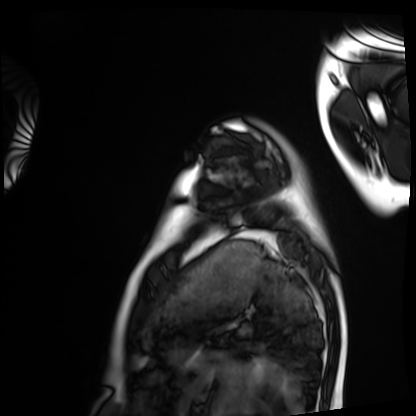
Case summary: Cardiac MRI. Subject group: healthy volunteer.